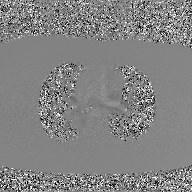
Q: What kind of scan is this?
A: 2D phase-contrast cine MRI of the ascending aorta, GAN super-resolution reconstruction.